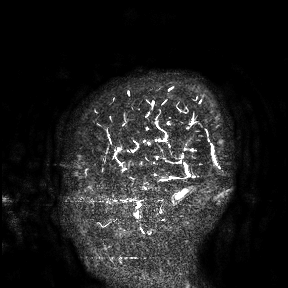
{"modality": {"type": "brain MRI", "field_strength": "3T"}, "study_topic": "ring-enhancing brain masses"}